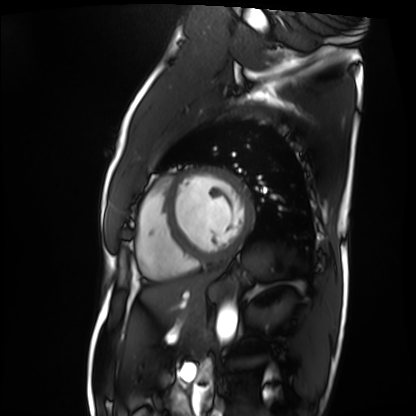
Cardiac MRI.
Subject group: patient.